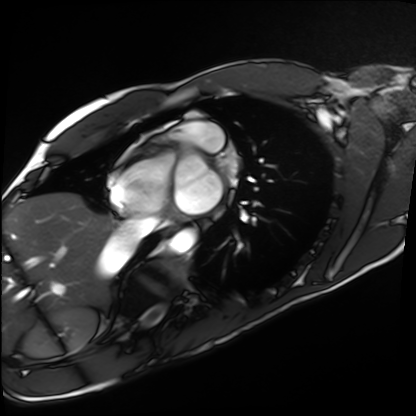
<study>
  <modality>cardiac MRI</modality>
  <cohort>healthy volunteer</cohort>
</study>